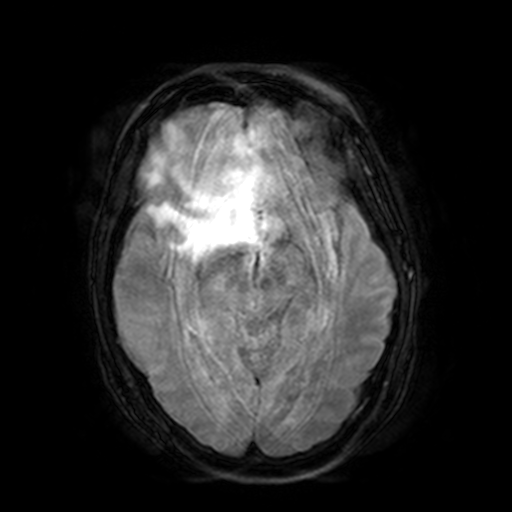
Case summary:
3 Tesla brain MRI. Series: FLAIR with SPAIR, 3 mm. Study: ring-enhancing brain masses.